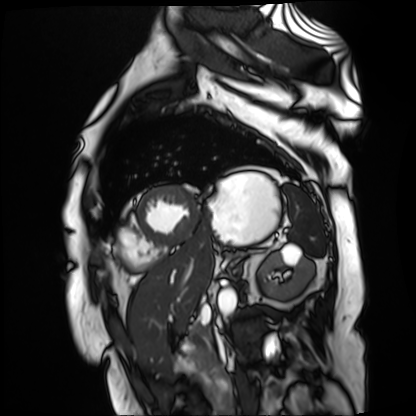
Q: What kind of scan is this?
A: Cardiac MR image of the myocardium.
Subject cohort: cardiac patient.